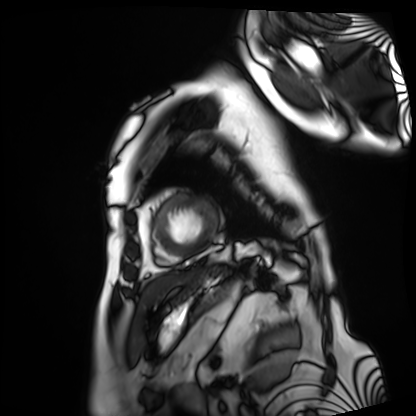
- modality · cardiac MRI
- subject group · patient